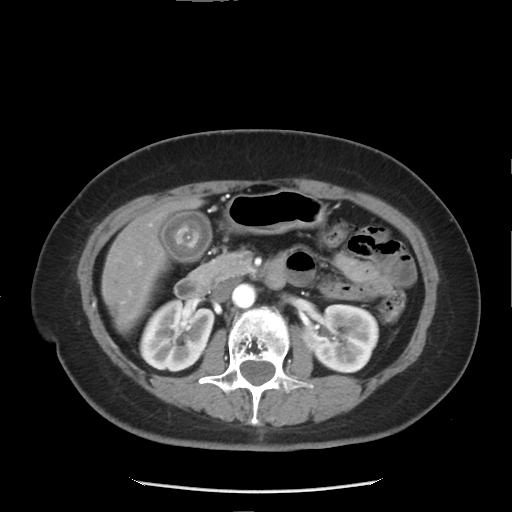
Multiphase abdominal CT, liver, arterial phase. Patient: female, age 52.